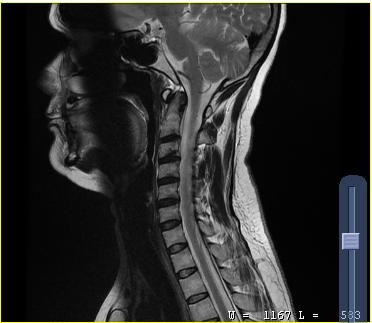
modality = MRI of the cervical spine | study = cervical spondylosis.